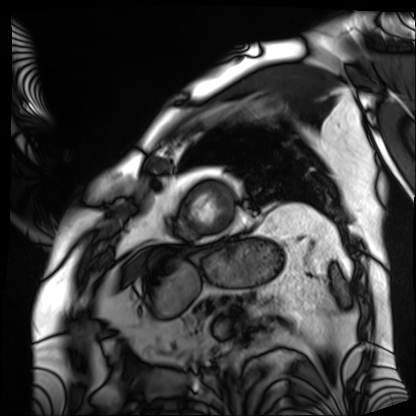
Q: What kind of scan is this?
A: Cardiac MRI.
Subject group: patient.